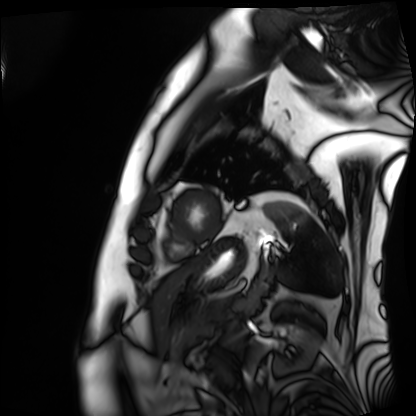
• modality · cardiac MRI
• subject group · patient